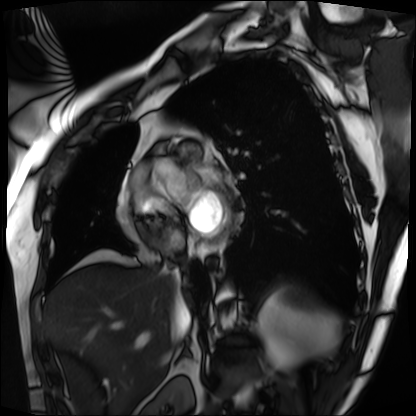
Cardiac MRI. Subject group: patient.